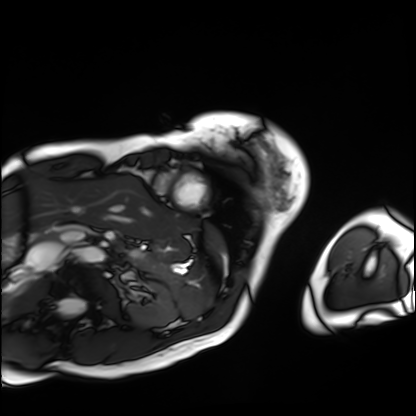
modality: cardiac MRI, subject group: patient.